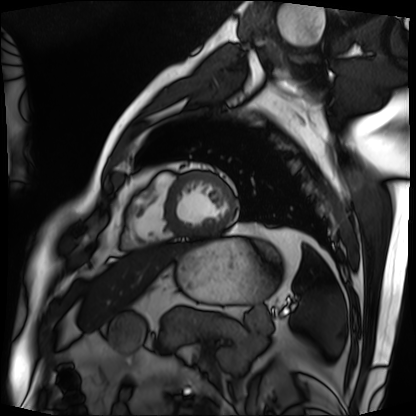
Case summary: Cardiac MRI. Subject group: patient.